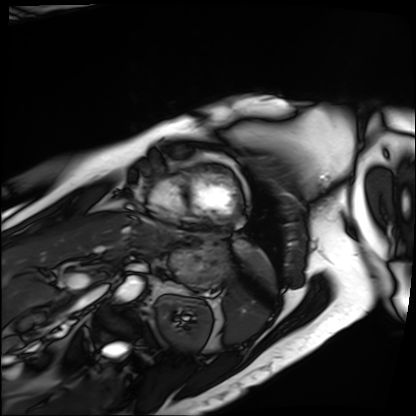
{"modality": "cardiac MRI", "cohort": "patient"}